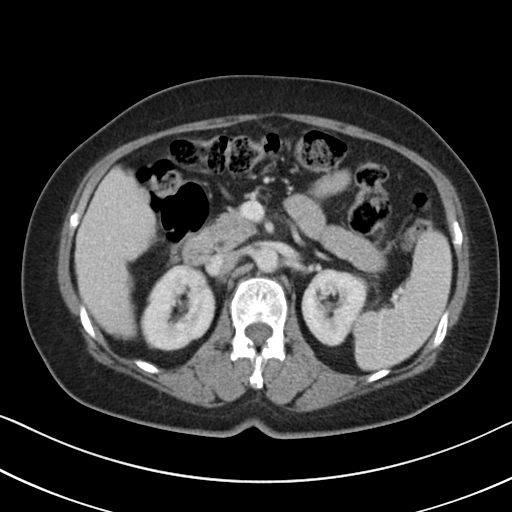
Case summary: Multiphase abdominal CT, liver, portal venous phase. Patient: female, age 64. History: cirrhosis, viral hepatitis.